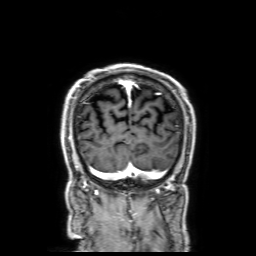
3 Tesla brain MRI. Series: 3D T1-weighted with SENSE. Study: ring-enhancing brain masses.